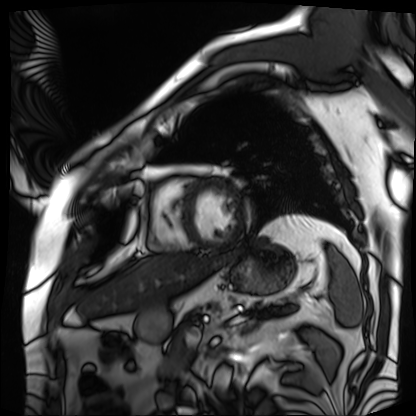
modality = cardiac MRI
subject group = patient